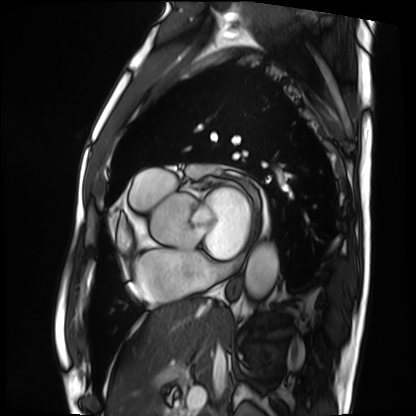
Summary: Cardiac MRI. Subject group: patient.